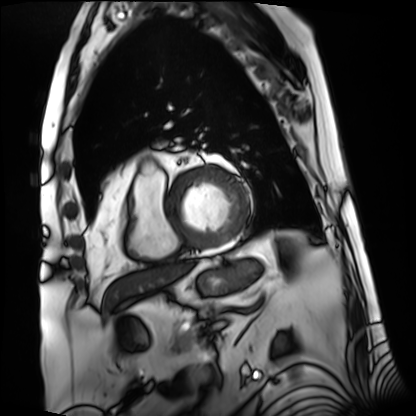
{
  "modality": "cardiac MRI",
  "cohort": "patient"
}